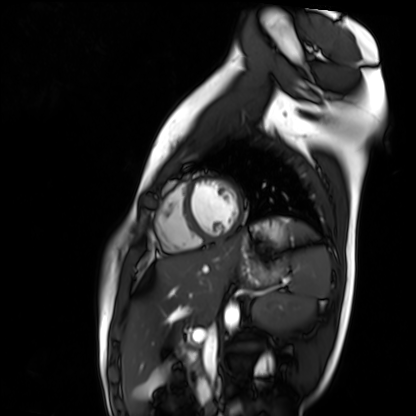
Cardiac MR image of the myocardium. Subject cohort: healthy volunteer.